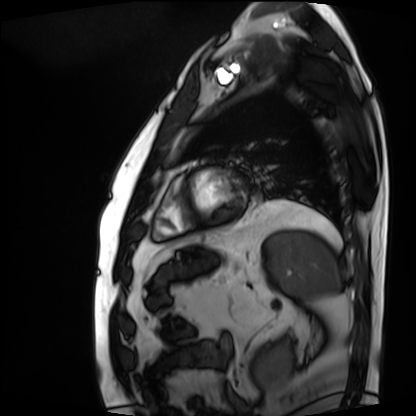
modality — cardiac MRI; subject group — patient.